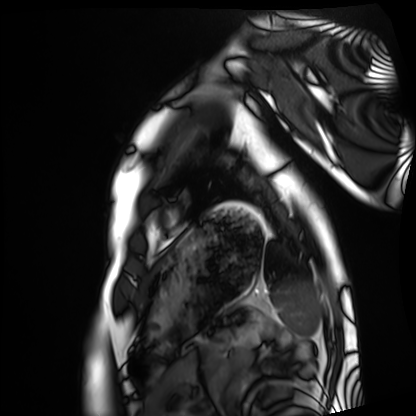
{"modality": "cardiac MRI", "cohort": "healthy volunteer"}